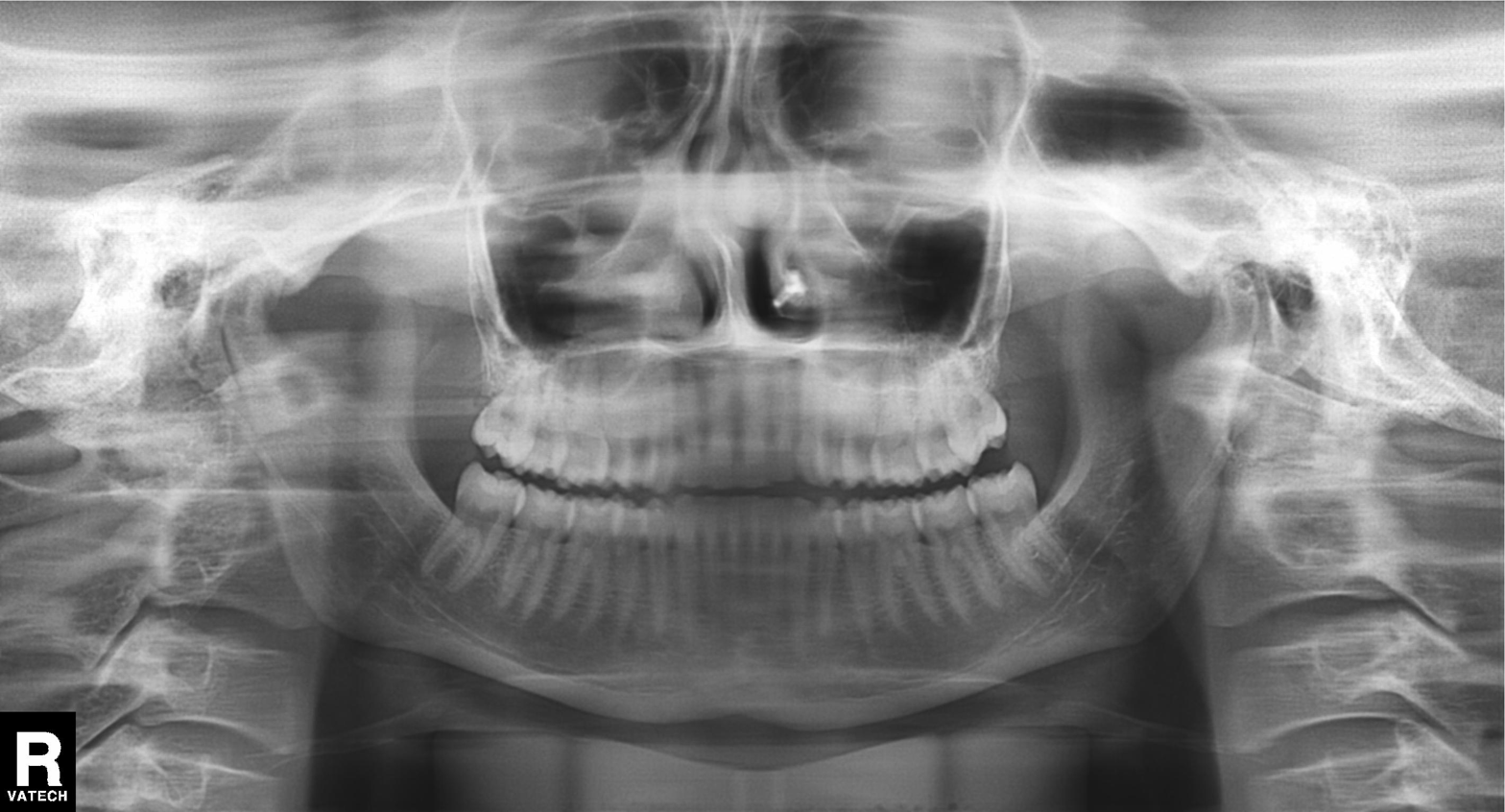
Panoramic dental radiograph (orthopantomogram).
Finding: dental caries (cavities).